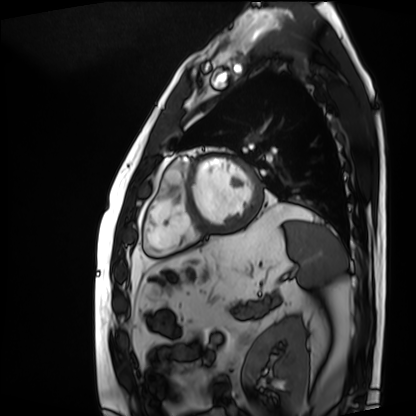
Cardiac MRI. Subject group: patient.